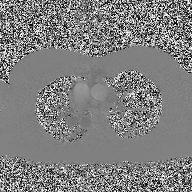
modality = 2D phase-contrast cine MRI of the ascending aorta.